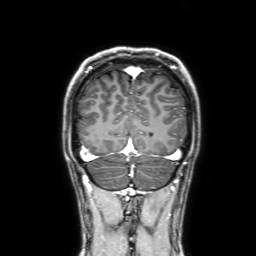
3 Tesla brain MRI.
Series: 3D T1-weighted with SENSE.
Study: ring-enhancing brain masses.